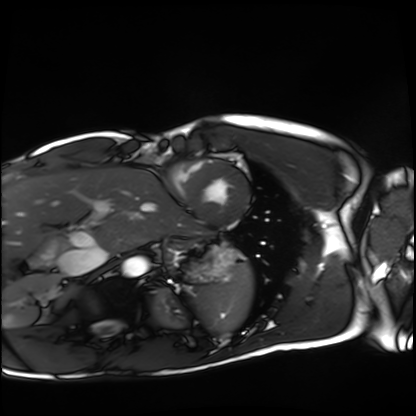
Case summary:
Cardiac MRI. Subject group: healthy volunteer.